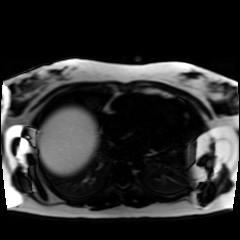
Q: What kind of scan is this?
A: Chemical-shift-encoded cardiac MRI.